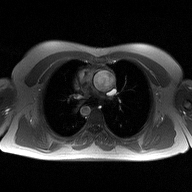
<case>
  <modality>
    <type>2D phase-contrast cine MRI</type>
    <region>ascending aorta</region>
    <reconstruction>high-resolution GRAPPA acquisition</reconstruction>
  </modality>
</case>